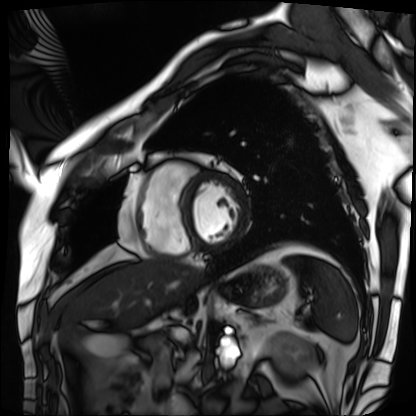
Summary: Cardiac MRI. Subject group: patient.